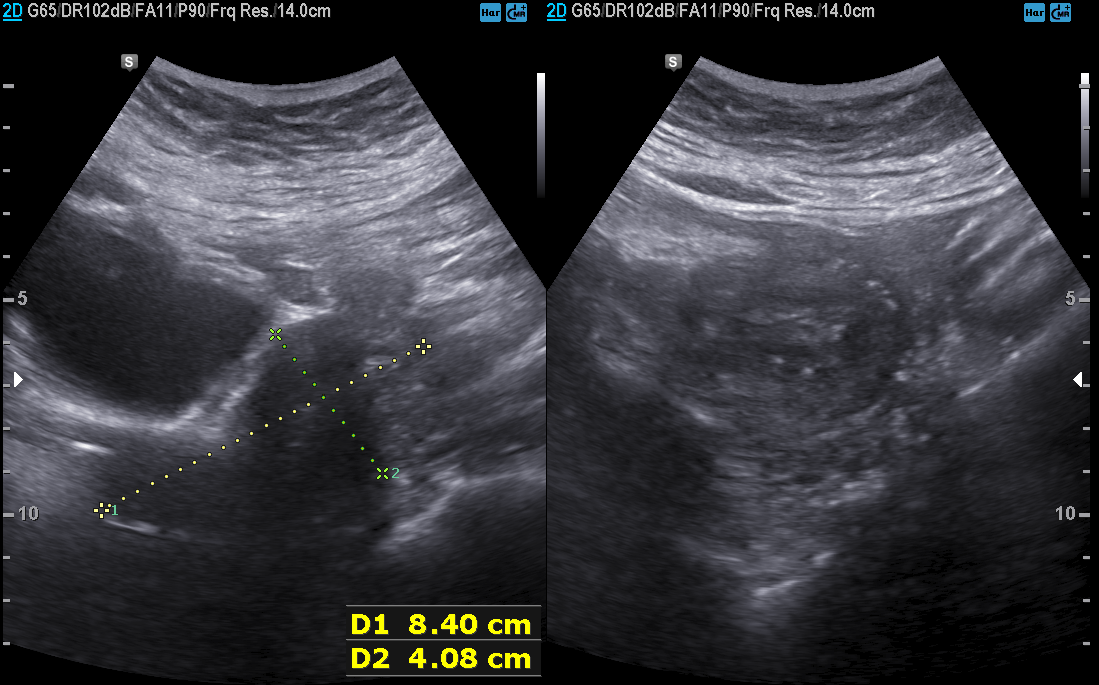
Genitourinary ultrasound.